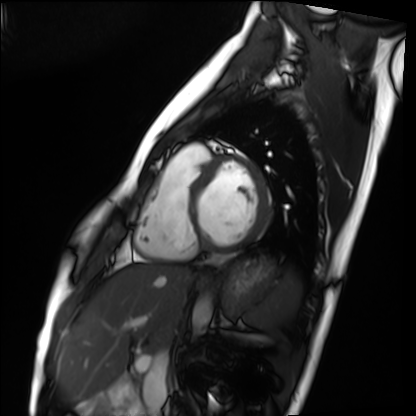
<study>
  <modality>cardiac MRI</modality>
  <cohort>healthy volunteer</cohort>
</study>